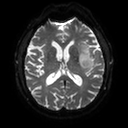
3 Tesla brain MRI. Series: diffusion tensor imaging (medium iso). Study: ring-enhancing brain masses.